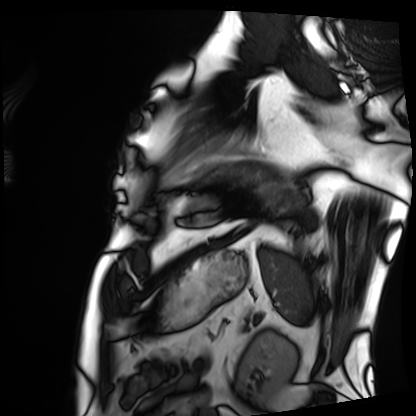
Clinical context:
Cardiac MRI. Subject group: patient.